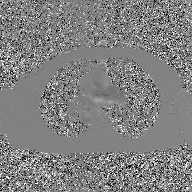
modality: 2D phase-contrast cine MRI of the ascending aorta, GAN super-resolution reconstruction